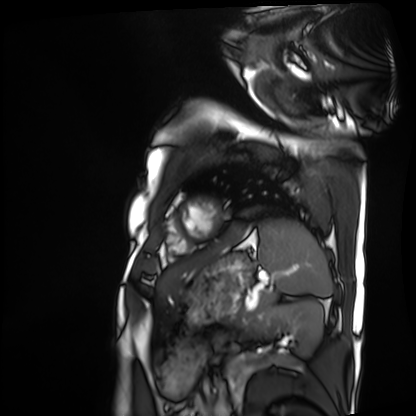
modality: cardiac MRI | subject group: patient.